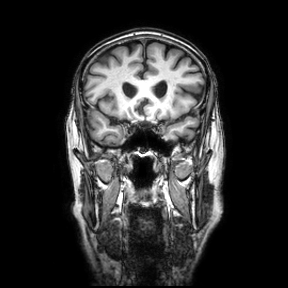
Case:
– modality — 3 Tesla brain MRI
– series — coronal
– study — ring-enhancing brain masses